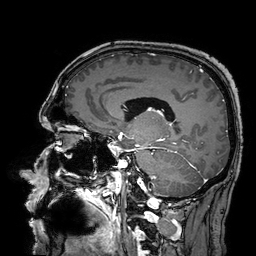
3 Tesla brain MRI. Series: 3D T1-weighted turbo field echo with SENSE. Study: ring-enhancing brain masses.